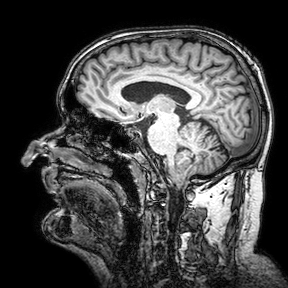
3 Tesla brain MRI. Series: 3D T1-weighted turbo field echo with SENSE. Study: ring-enhancing brain masses.